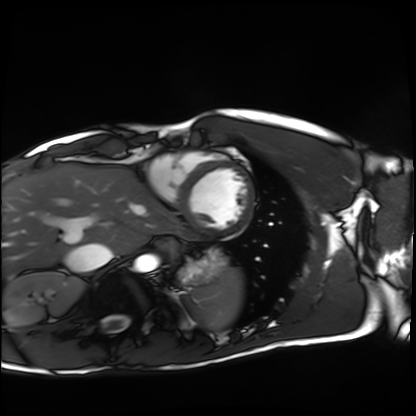
Cardiac MRI. Subject group: healthy volunteer.